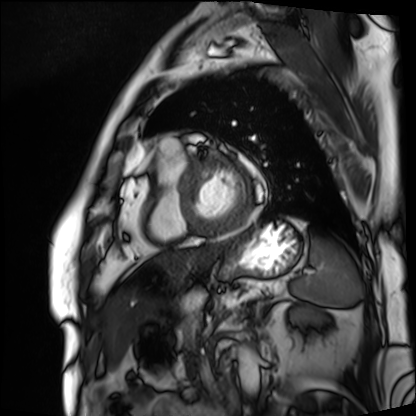
Q: What kind of scan is this?
A: Cardiac MRI.
Subject group: patient.